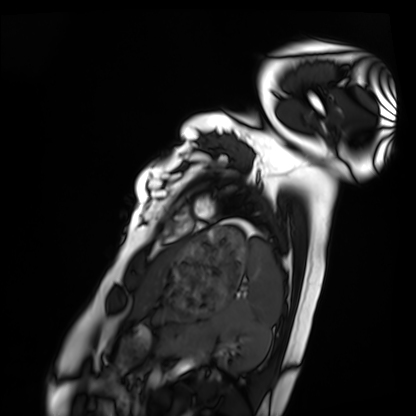
modality: cardiac MRI
subject group: healthy volunteer